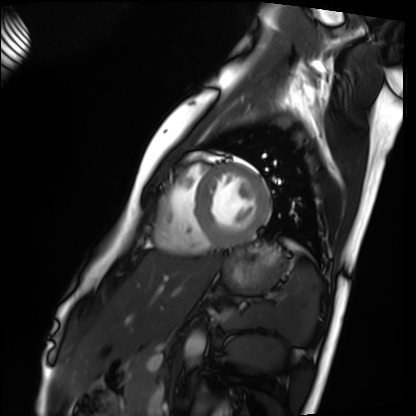
Q: What kind of scan is this?
A: Cardiac MRI.
Subject group: healthy volunteer.